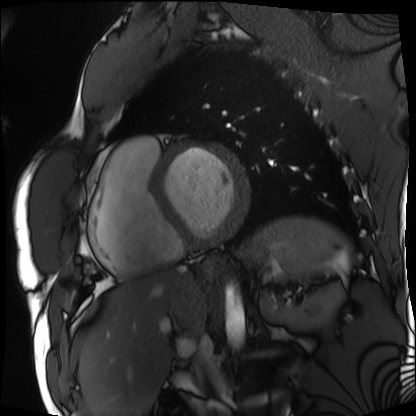
Cardiac MRI.
Subject group: patient.